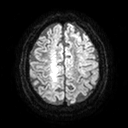
3 Tesla brain MRI. Series: diffusion tensor imaging (medium iso). Study: ring-enhancing brain masses.